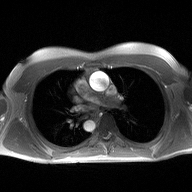
modality — 2D phase-contrast cine MRI of the ascending aorta.